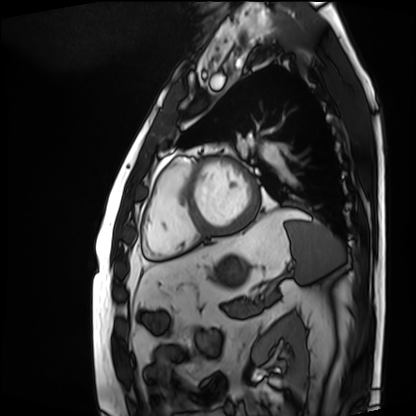
Cardiac MRI.
Subject group: patient.